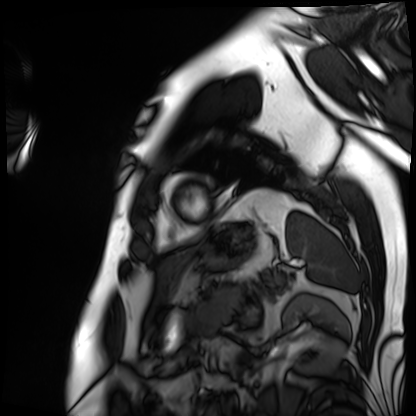
Case:
• modality: cardiac MRI
• subject group: patient